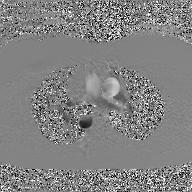
modality = 2D phase-contrast cine MRI of the ascending aorta, GAN super-resolution reconstruction.